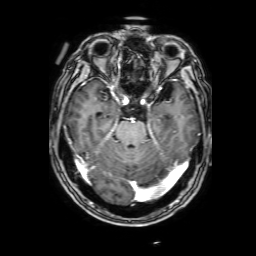
<case>
<modality>
  <type>brain MRI</type>
  <field_strength>3T</field_strength>
</modality>
<series>3D T1-weighted with SENSE</series>
<study_topic>ring-enhancing brain masses</study_topic>
</case>